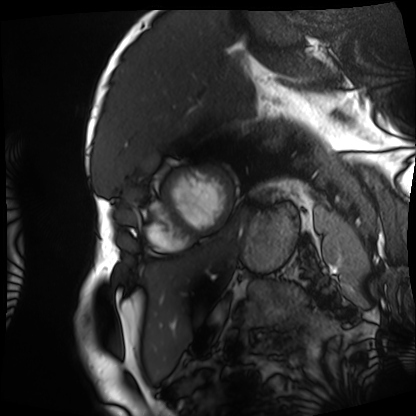
Case summary: Cardiac MRI. Subject group: patient.